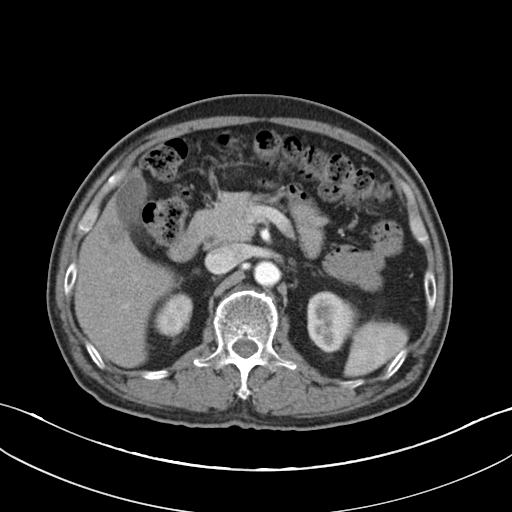
Summary: Multiphase abdominal CT, liver, arterial phase. Patient: male, age 66. History: cirrhosis.